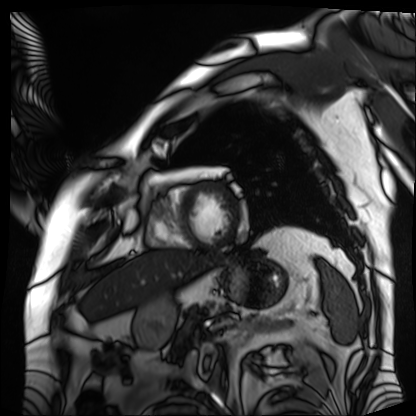
Q: What kind of scan is this?
A: Cardiac MRI.
Subject group: patient.